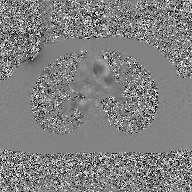
2D phase-contrast cine MRI of the ascending aorta, GAN super-resolution reconstruction.